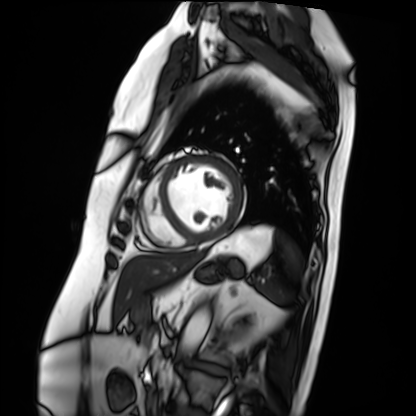
modality: cardiac MRI; subject group: patient.